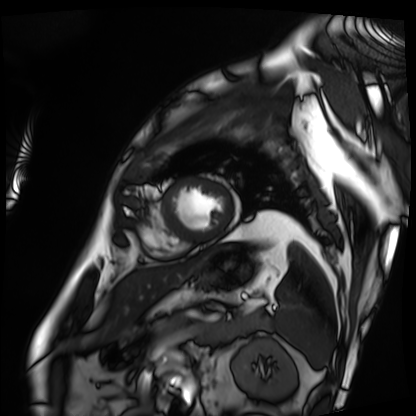
Case summary:
Cardiac MRI. Subject group: patient.